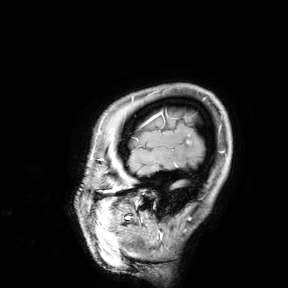
modality: 3 Tesla brain MRI
study: ring-enhancing brain masses